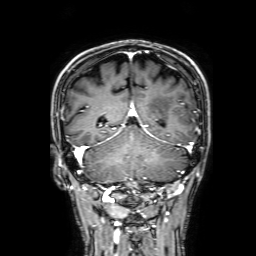
Q: What kind of scan is this?
A: 3 Tesla brain MRI.
Q: Series?
A: 3D T1-weighted with SENSE.
Study: ring-enhancing brain masses.